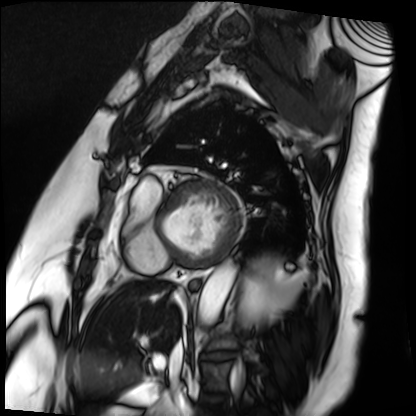
Cardiac MRI. Subject group: patient.